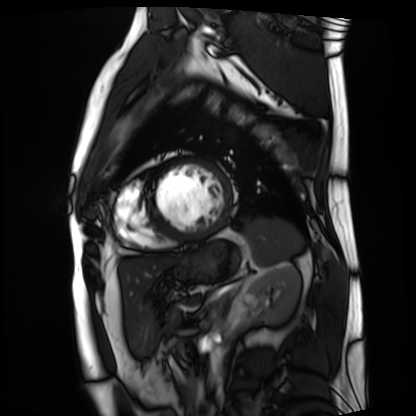
Q: What kind of scan is this?
A: Cardiac MRI.
Subject group: patient.